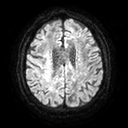
3 Tesla brain MRI. Series: diffusion tensor imaging (medium iso). Study: ring-enhancing brain masses.